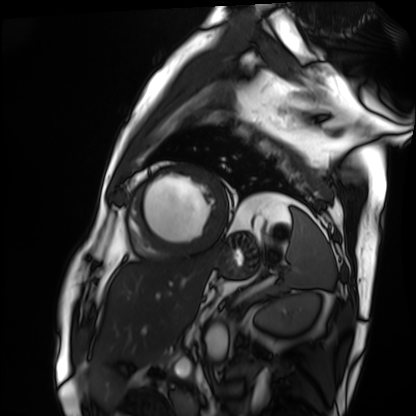
Summary:
Cardiac MRI. Subject group: patient.